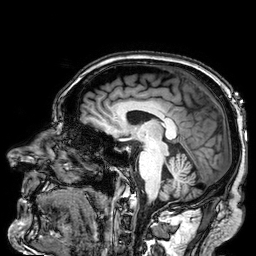
3 Tesla brain MRI. Series: 3D T1-weighted. Study: ring-enhancing brain masses.